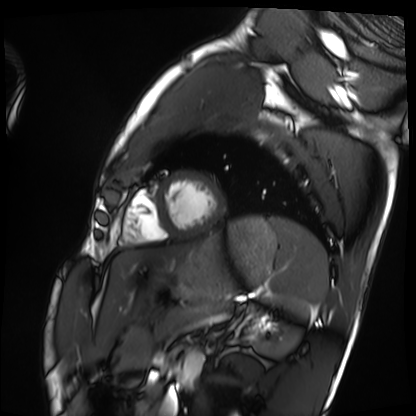
Q: What kind of scan is this?
A: Cardiac MRI.
Subject group: healthy volunteer.